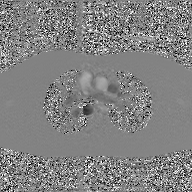
Case:
• modality: 2D phase-contrast cine MRI of the ascending aorta, GAN super-resolution reconstruction